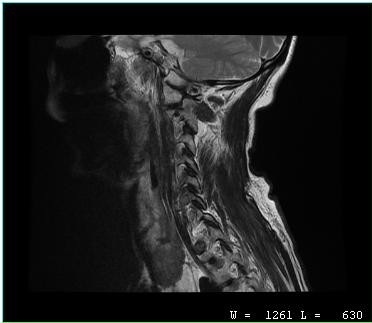
MRI of the cervical spine. Study: cervical spondylosis.